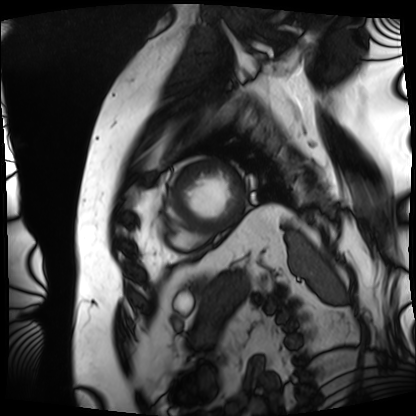
Q: What kind of scan is this?
A: Cardiac MRI.
Subject group: patient.